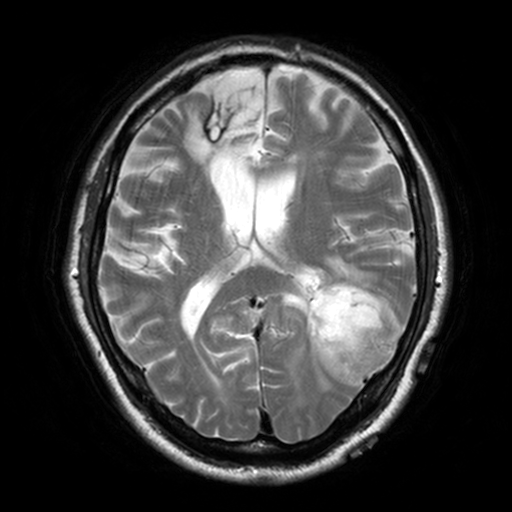
Q: What kind of scan is this?
A: 3 Tesla brain MRI.
Q: Series?
A: T2-weighted turbo spin echo, 3 mm.
Study: ring-enhancing brain masses.